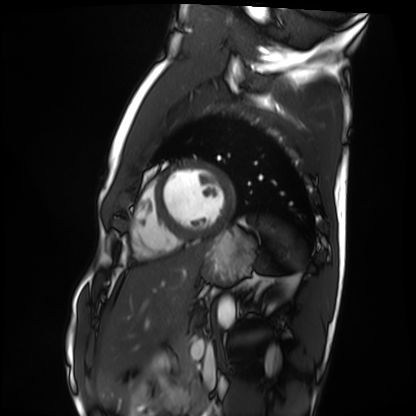
modality = cardiac MRI
subject group = healthy volunteer